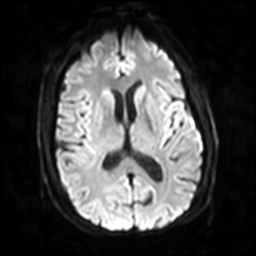
Case:
- modality — 3 Tesla brain MRI
- series — diffusion-weighted imaging with SENSE (WIP)
- study — ring-enhancing brain masses